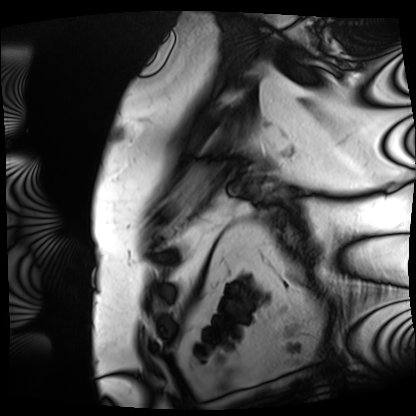
modality: cardiac MRI
subject group: patient